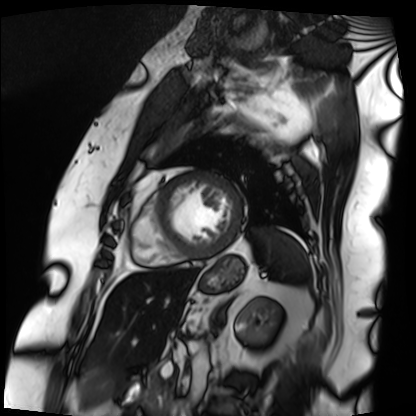
Cardiac MRI. Subject group: patient.